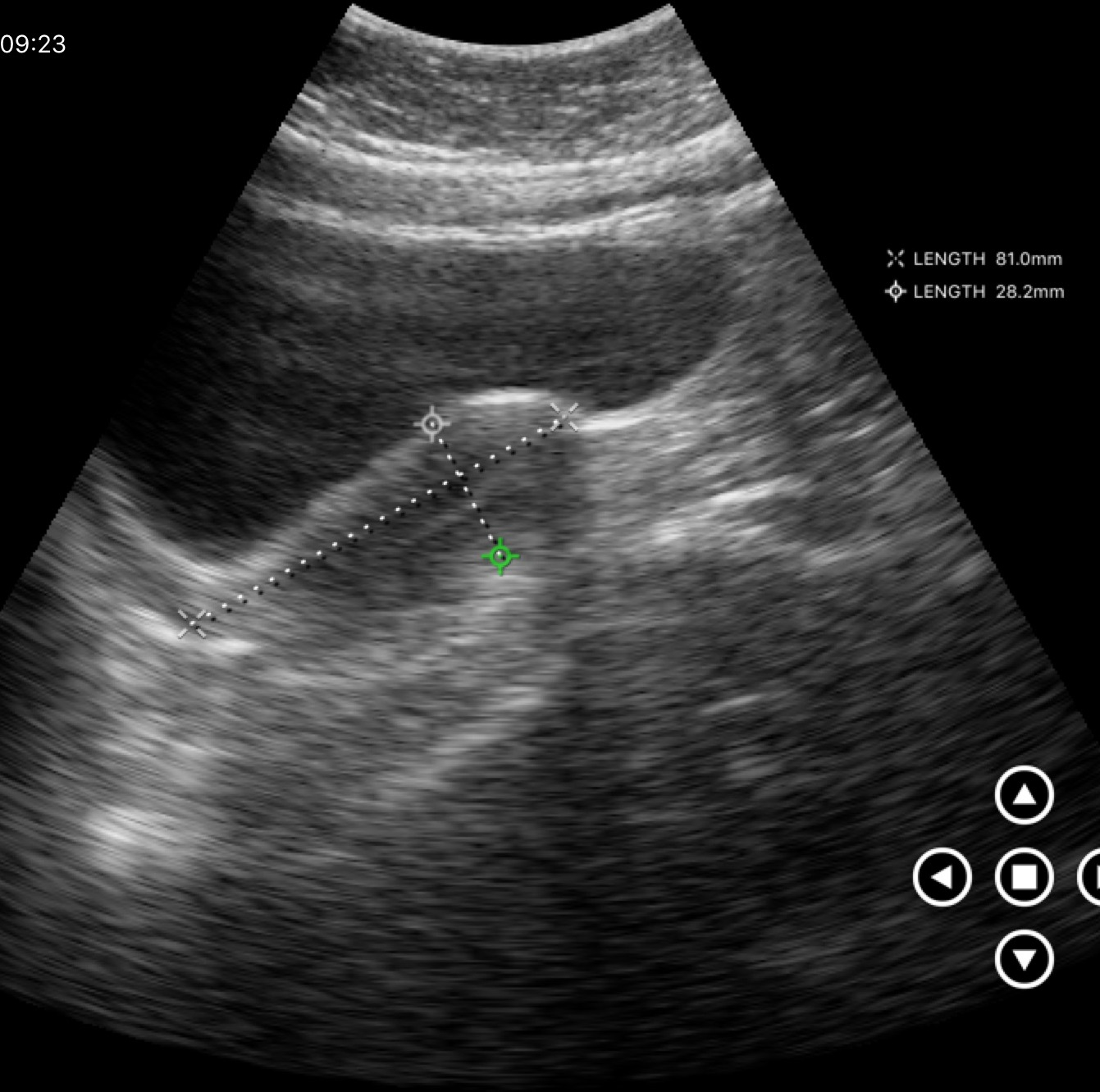
modality: genitourinary ultrasound.